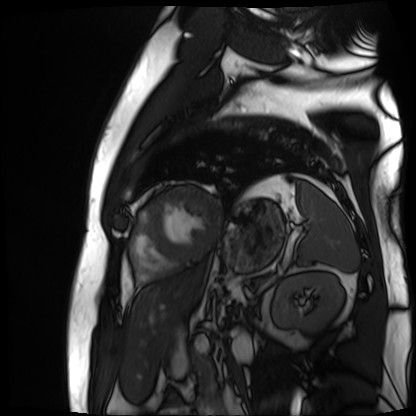
Cardiac MR image of the myocardium. Subject cohort: cardiac patient.